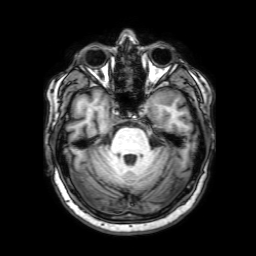
<scan>
  <modality>
    <type>brain MRI</type>
    <field_strength>3T</field_strength>
  </modality>
  <series>3D T1-weighted with SENSE</series>
  <study_topic>ring-enhancing brain masses</study_topic>
</scan>